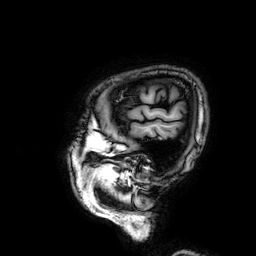
Summary: 3 Tesla brain MRI. Series: 3D T1-weighted. Study: ring-enhancing brain masses.